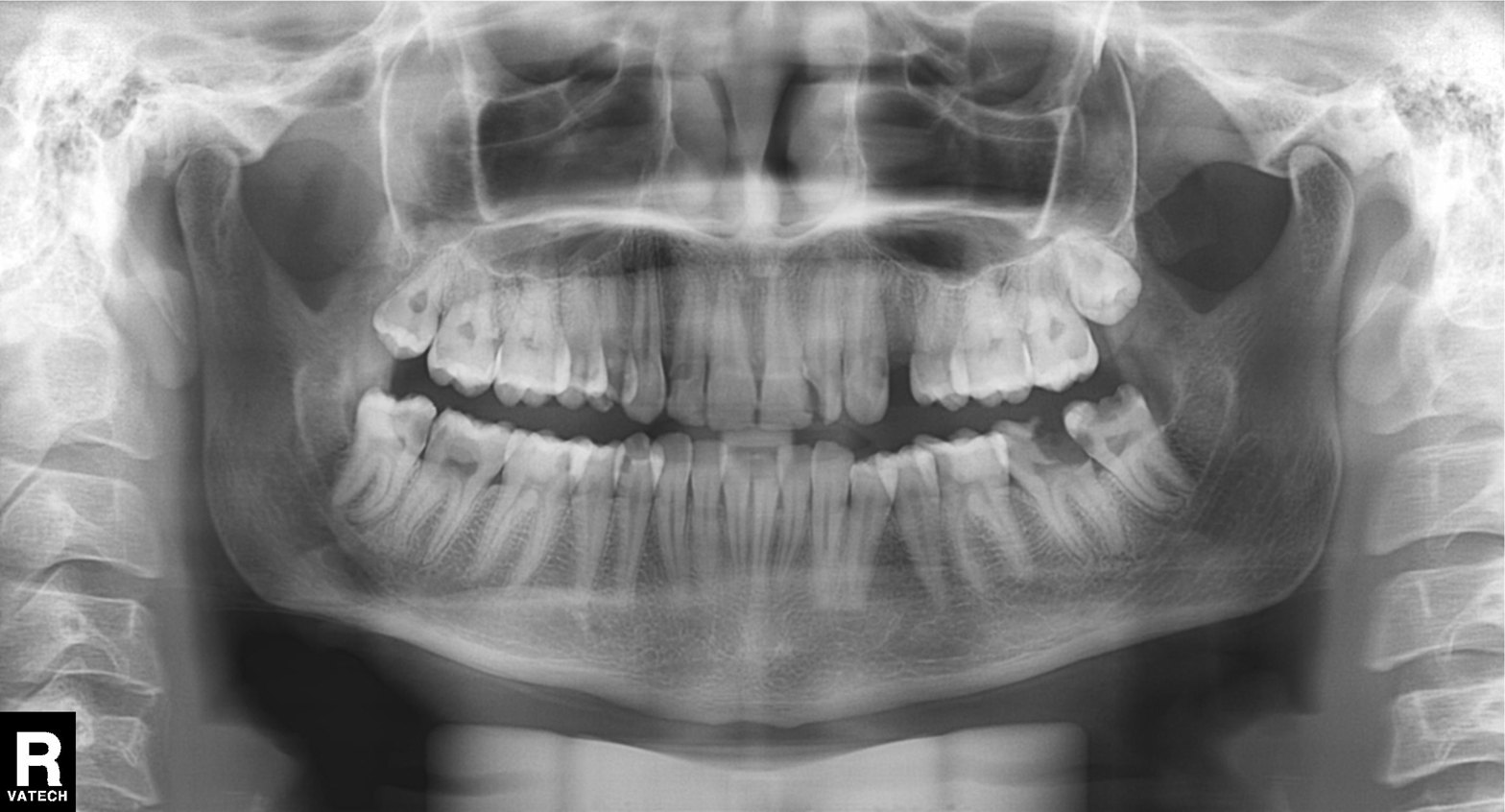
  modality: panoramic dental radiograph (orthopantomogram)
  finding: dental caries (cavities)